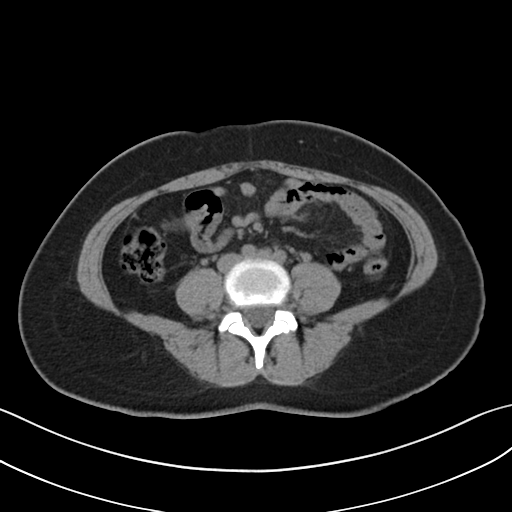
Multiphase abdominal CT, liver, non-contrast phase. Patient: female, age 45.